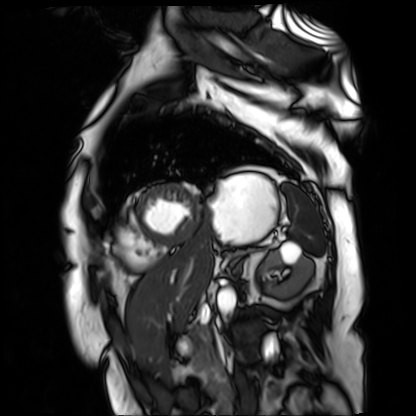
modality: cardiac MR image of the myocardium
subject cohort: cardiac patient